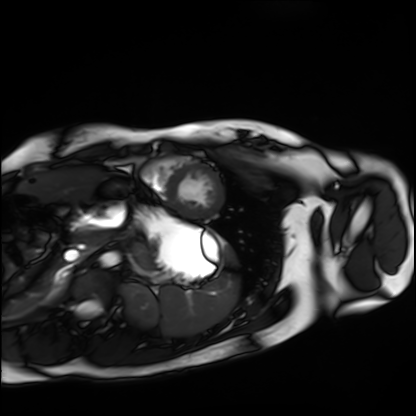
{"modality": "cardiac MRI", "cohort": "healthy volunteer"}